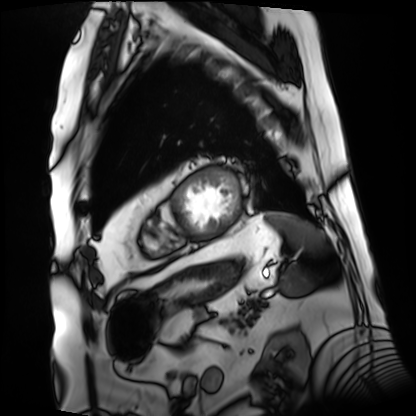
Summary:
Cardiac MRI. Subject group: patient.